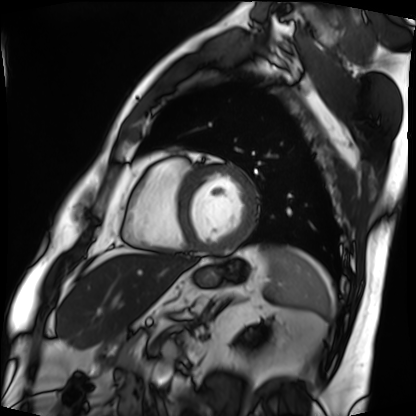
Clinical context: Cardiac MRI. Subject group: patient.